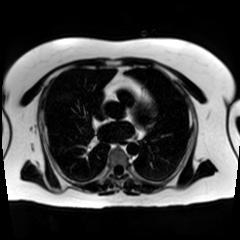
Chemical-shift-encoded cardiac MRI.